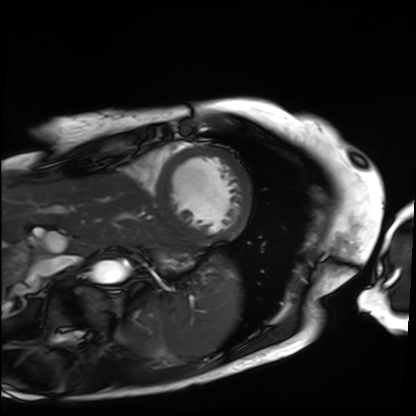
Case summary:
Cardiac MRI. Subject group: patient.